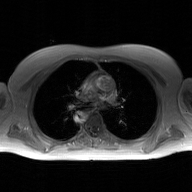
Summary: 2D phase-contrast cine MRI of the ascending aorta, GAN super-resolution reconstruction.